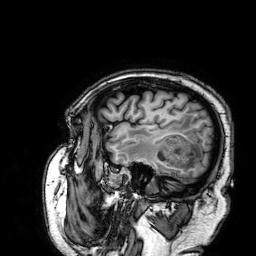
modality — 3 Tesla brain MRI
series — 3D T1-weighted
study — ring-enhancing brain masses